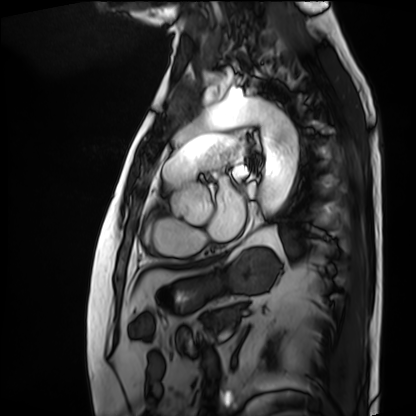
Cardiac MRI.
Subject group: patient.